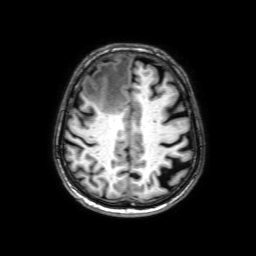
Clinical context: 3 Tesla brain MRI. Series: 3D T1-weighted with SENSE. Study: ring-enhancing brain masses.